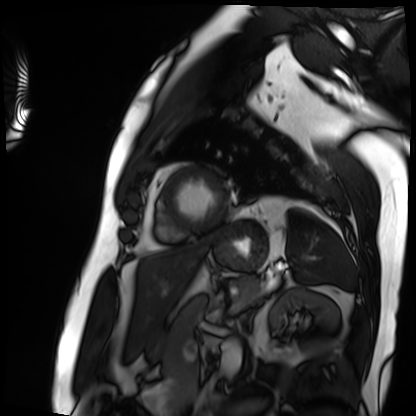
modality: cardiac MRI | subject group: patient.